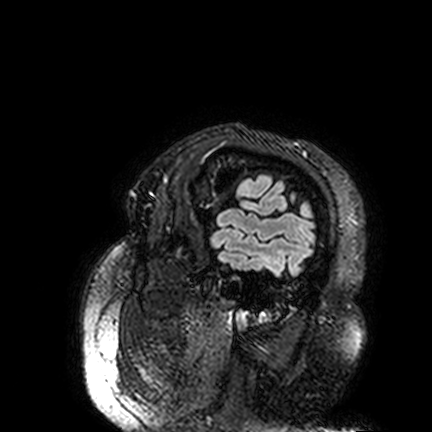
Q: What kind of scan is this?
A: 3 Tesla brain MRI.
Q: Series?
A: FLAIR VISTA.
Study: ring-enhancing brain masses.